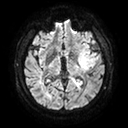
Summary:
3 Tesla brain MRI. Study: ring-enhancing brain masses.